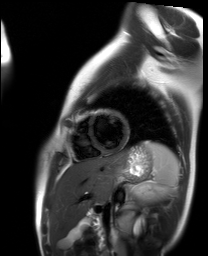
Q: What kind of scan is this?
A: Cardiac MR image of the myocardium.
Subject cohort: healthy volunteer.